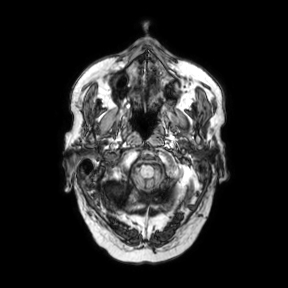
{"modality": {"type": "brain MRI", "field_strength": "3T"}, "series": "axial", "study_topic": "ring-enhancing brain masses"}